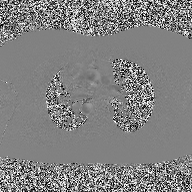
| field | value |
|---|---|
| modality | 2D phase-contrast cine MRI of the ascending aorta |